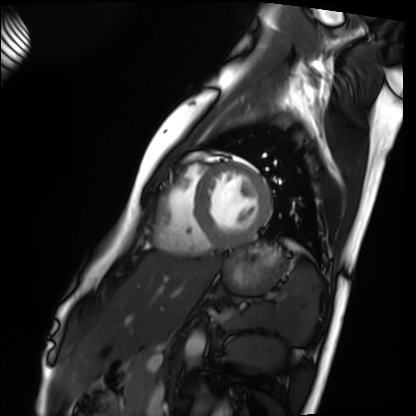
| field | value |
|---|---|
| modality | cardiac MRI |
| subject group | healthy volunteer |